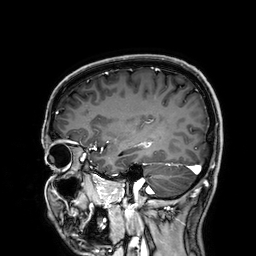
Clinical context:
3 Tesla brain MRI. Series: 3D T1-weighted. Study: ring-enhancing brain masses.